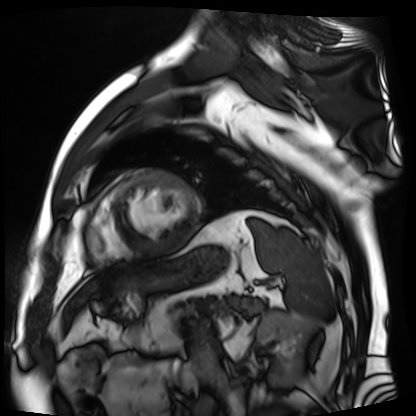
modality = cardiac MR image of the myocardium; subject cohort = cardiac patient.